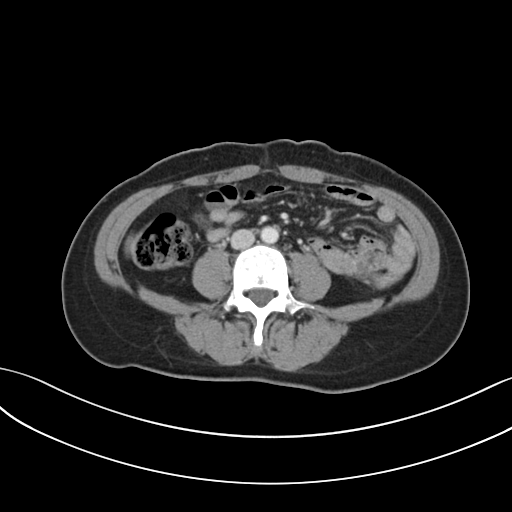
Multiphase abdominal CT, liver, portal venous phase. Patient: female, age 43. History: prior chemotherapy.